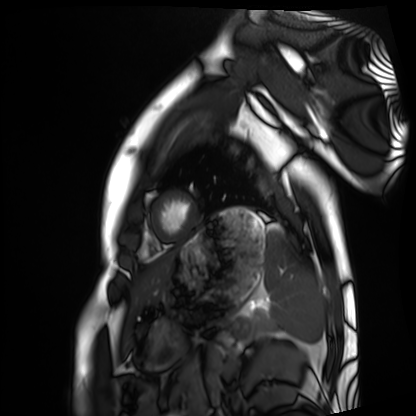
Cardiac MRI. Subject group: healthy volunteer.